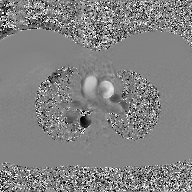
2D phase-contrast cine MRI of the ascending aorta, GAN super-resolution reconstruction.